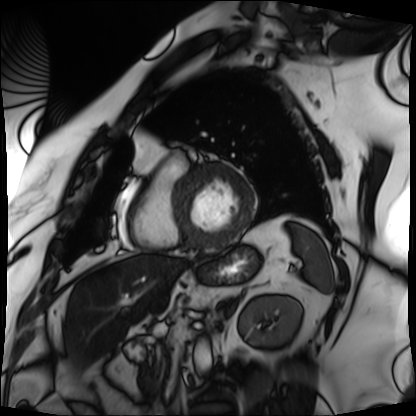
modality: cardiac MRI, subject group: patient.